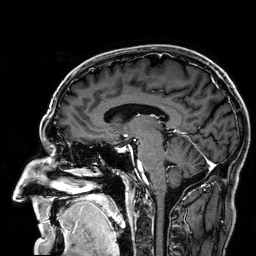
Case summary: 3 Tesla brain MRI. Series: 3D T1-weighted. Study: ring-enhancing brain masses.